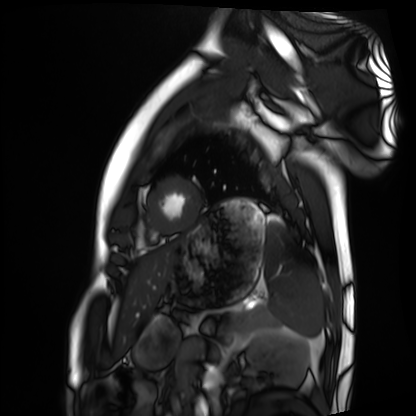
modality: cardiac MRI | subject group: healthy volunteer.